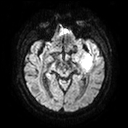
Clinical context: 3 Tesla brain MRI. Series: diffusion tensor imaging (medium iso). Study: ring-enhancing brain masses.